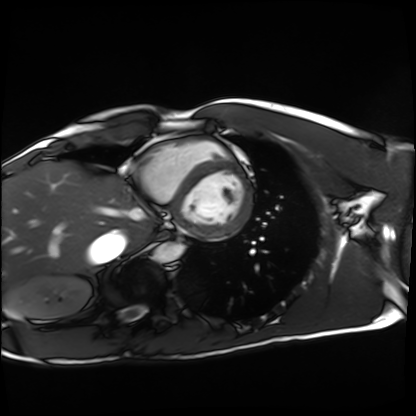
Cardiac MRI.
Subject group: healthy volunteer.